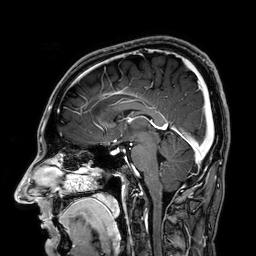
| field | value |
|---|---|
| modality | 3 Tesla brain MRI |
| series | 3D T1-weighted |
| study | ring-enhancing brain masses |